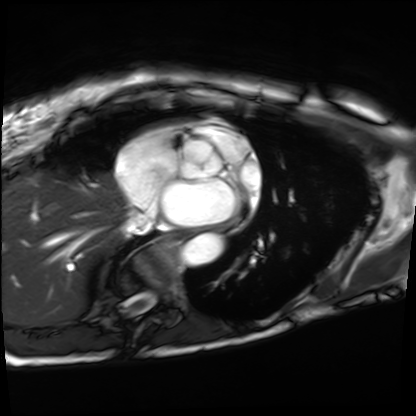
modality = cardiac MRI | subject group = patient.